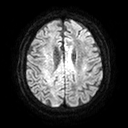
3 Tesla brain MRI. Series: diffusion tensor imaging (medium iso). Study: ring-enhancing brain masses.